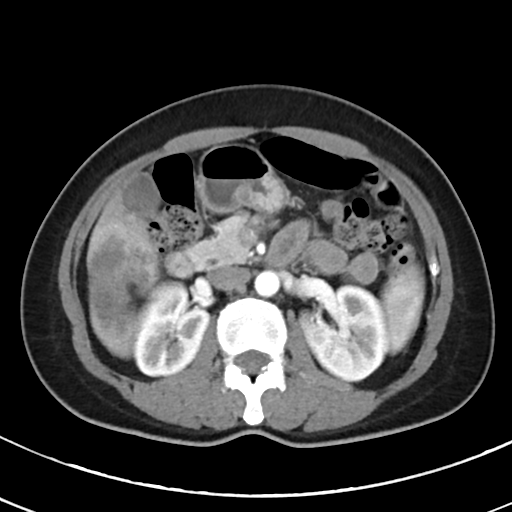
{
  "modality": {
    "type": "multiphase abdominal CT",
    "region": "liver",
    "phase": "arterial"
  },
  "patient": {
    "sex": "female",
    "age": 44
  }
}